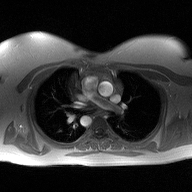
Case summary: 2D phase-contrast cine MRI of the ascending aorta, high-resolution GRAPPA acquisition.